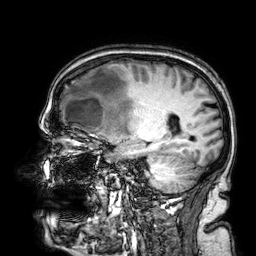
Q: What kind of scan is this?
A: 3 Tesla brain MRI.
Q: Series?
A: 3D T1-weighted.
Study: ring-enhancing brain masses.